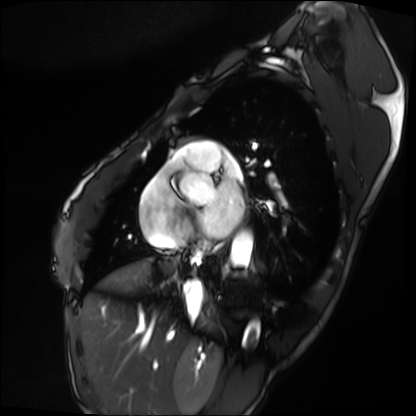
<case>
  <modality>cardiac MRI</modality>
  <cohort>patient</cohort>
</case>